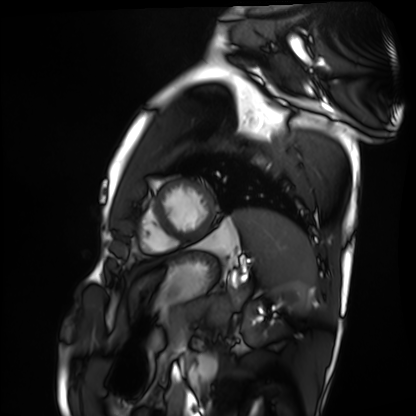
Clinical context:
Cardiac MRI. Subject group: healthy volunteer.